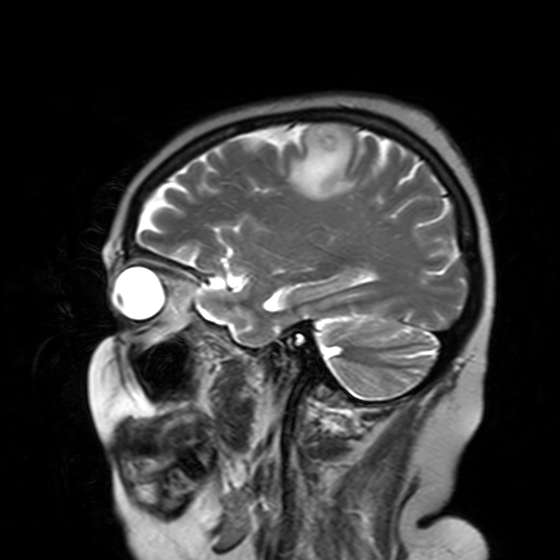
modality = 3 Tesla brain MRI; series = T2-weighted turbo spin echo with SENSE; study = ring-enhancing brain masses.